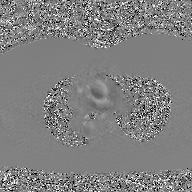
Clinical context:
2D phase-contrast cine MRI of the ascending aorta, GAN super-resolution reconstruction.